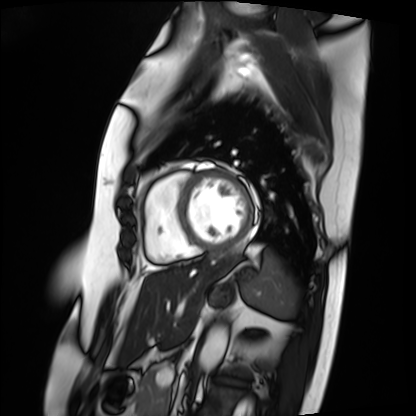
| field | value |
|---|---|
| modality | cardiac MRI |
| subject group | patient |